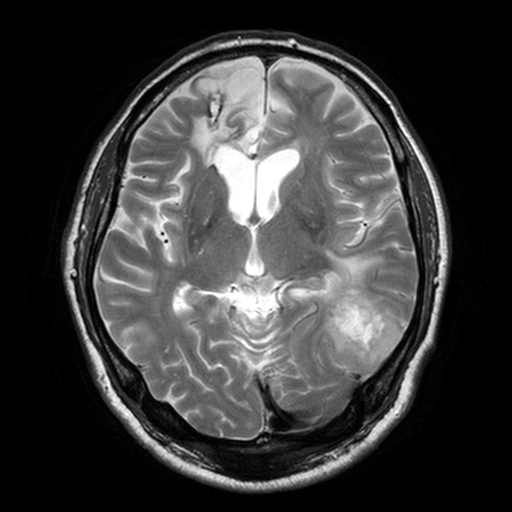
| field | value |
|---|---|
| modality | 3 Tesla brain MRI |
| series | T2-weighted turbo spin echo, 3 mm |
| study | ring-enhancing brain masses |